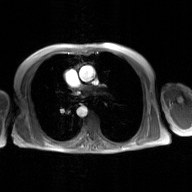
2D phase-contrast cine MRI of the ascending aorta, GAN super-resolution reconstruction.